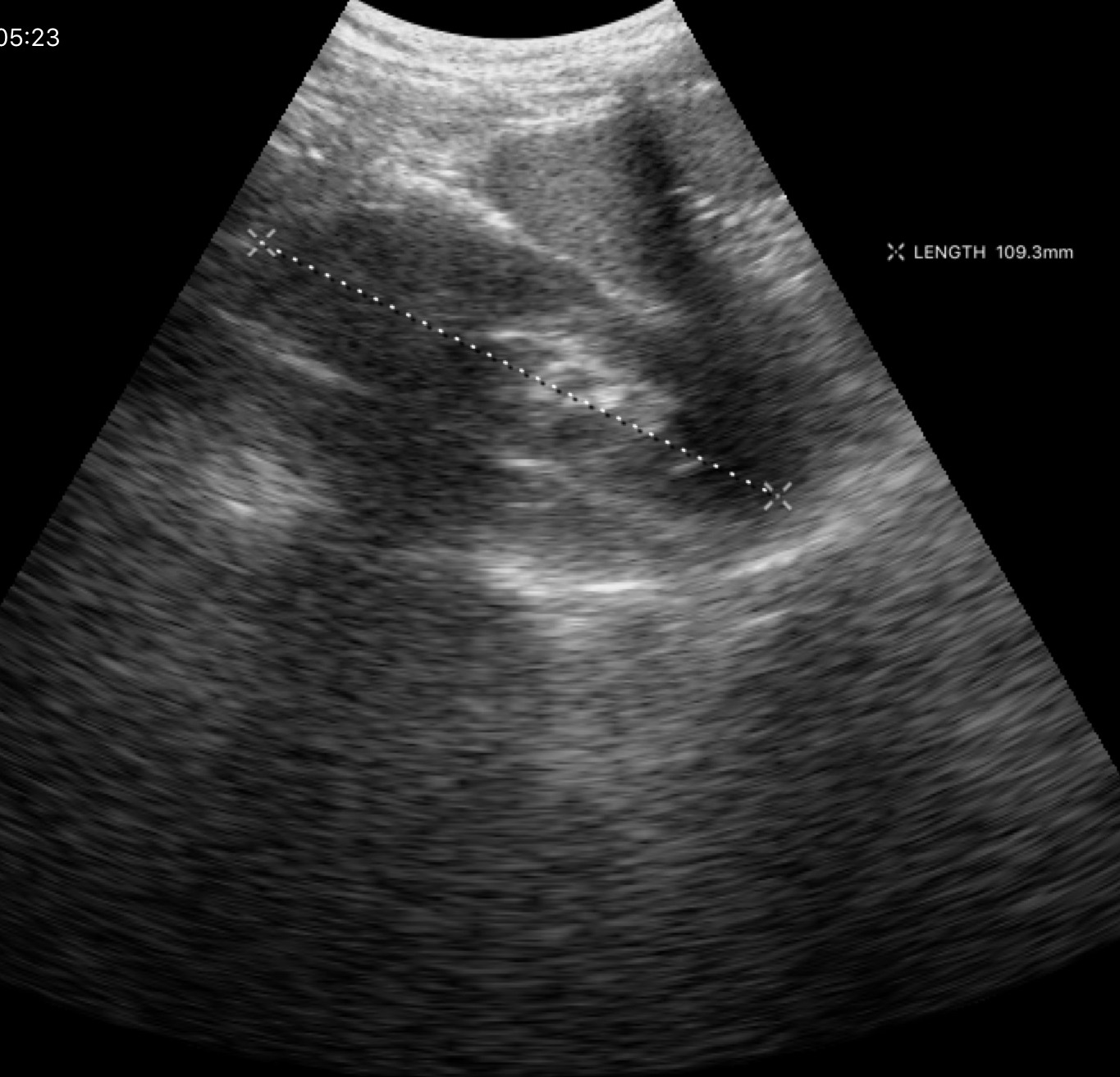
<study>
<modality>
  <type>genitourinary ultrasound</type>
</modality>
</study>